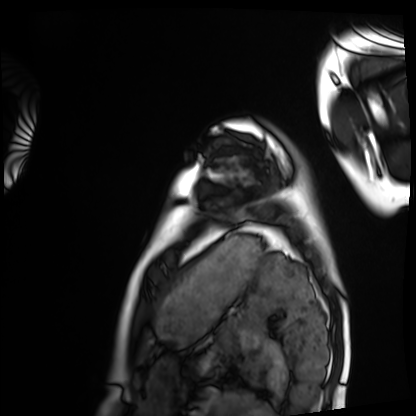
Cardiac MRI. Subject group: healthy volunteer.